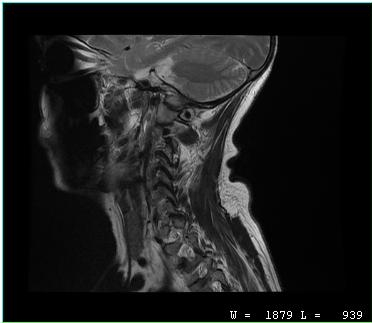
MRI of the cervical spine.
Study: cervical spondylosis.